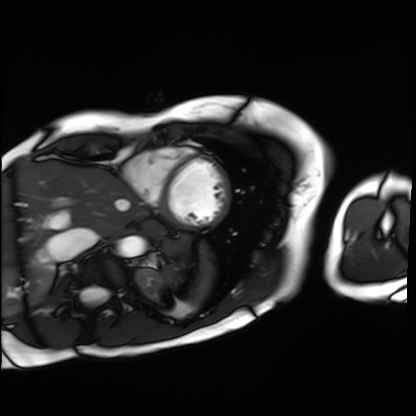
modality=cardiac MRI
subject group=patient